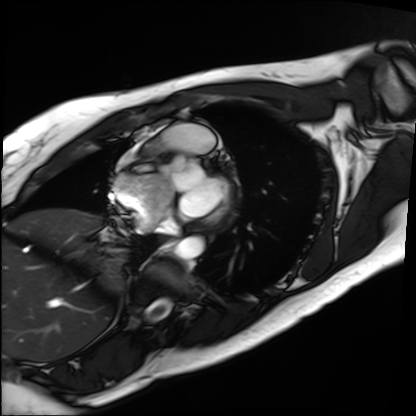
Summary:
Cardiac MRI. Subject group: patient.